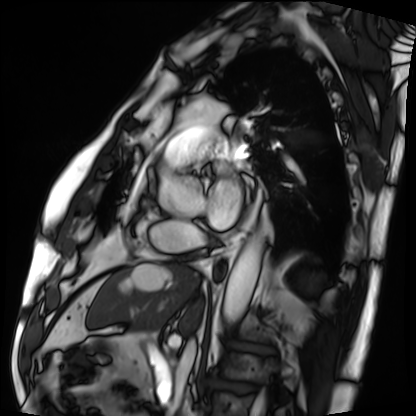
Cardiac MRI.
Subject group: patient.